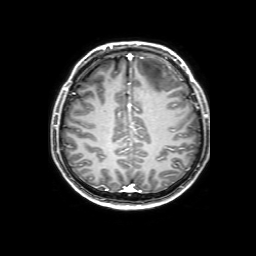
– modality — 3 Tesla brain MRI
– series — 3D T1-weighted with SENSE
– study — ring-enhancing brain masses